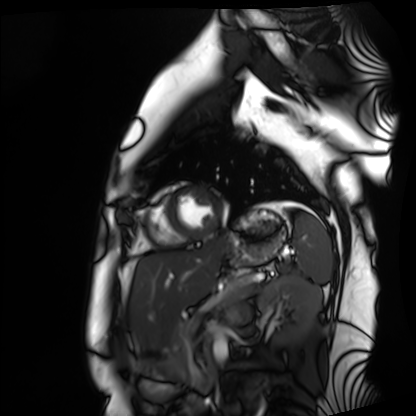
| field | value |
|---|---|
| modality | cardiac MRI |
| subject group | healthy volunteer |